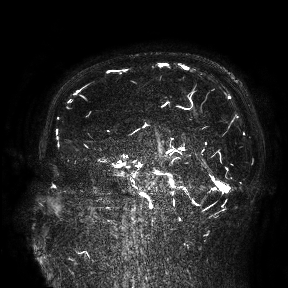
Case:
– modality — 3 Tesla brain MRI
– study — ring-enhancing brain masses